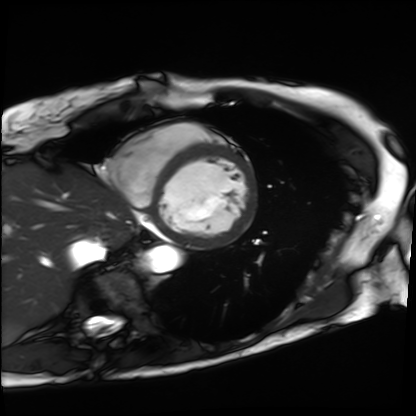
modality = cardiac MRI
subject group = patient